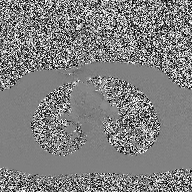
  modality:
    type: 2D phase-contrast cine MRI
    region: ascending aorta
    reconstruction: high-resolution GRAPPA acquisition